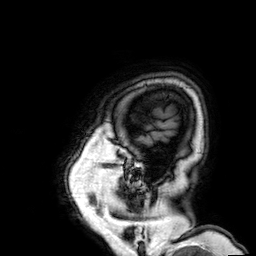
3 Tesla brain MRI.
Series: 3D T1-weighted.
Study: ring-enhancing brain masses.